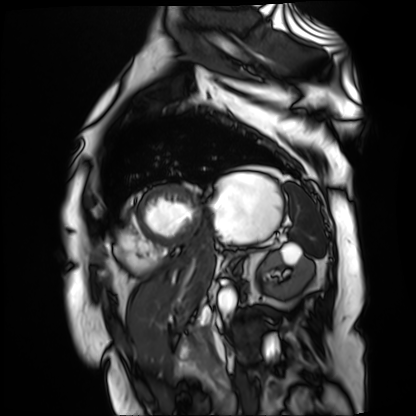
Cardiac MR image of the myocardium. Subject cohort: cardiac patient.